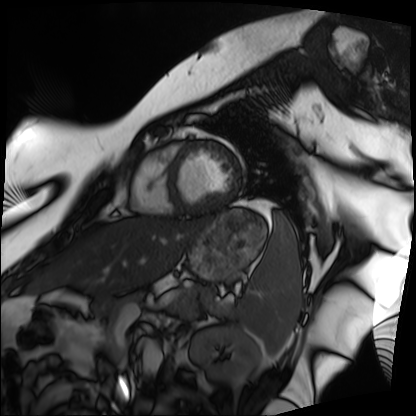
Q: What kind of scan is this?
A: Cardiac MRI.
Subject group: patient.